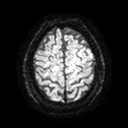
Q: What kind of scan is this?
A: 3 Tesla brain MRI.
Q: Series?
A: Diffusion tensor imaging (medium iso).
Study: ring-enhancing brain masses.